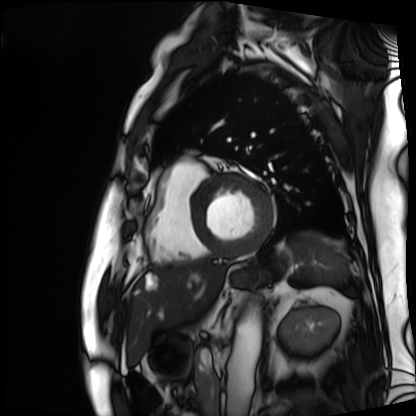
Cardiac MRI.
Subject group: patient.